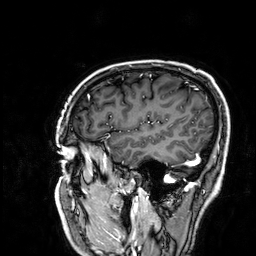
Case summary: 3 Tesla brain MRI. Series: 3D T1-weighted. Study: ring-enhancing brain masses.